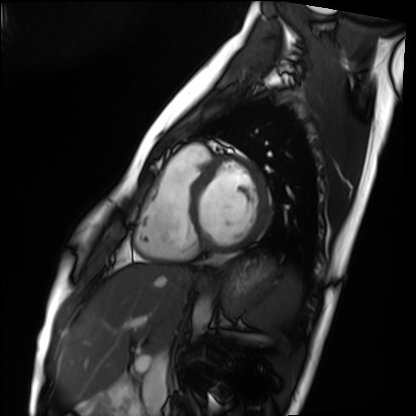
Cardiac MRI. Subject group: healthy volunteer.